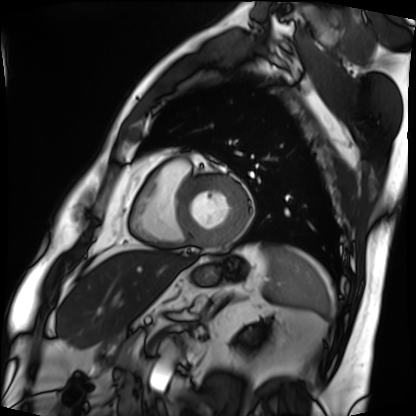
Cardiac MRI. Subject group: patient.